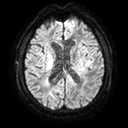
3 Tesla brain MRI. Series: diffusion tensor imaging (medium iso). Study: ring-enhancing brain masses.